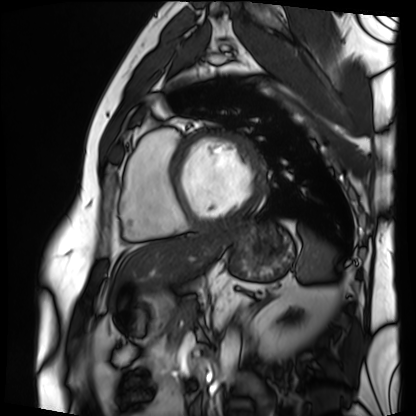
modality: cardiac MRI; subject group: patient.